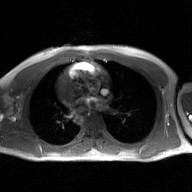
Case summary: 2D phase-contrast cine MRI of the ascending aorta, GAN super-resolution reconstruction.